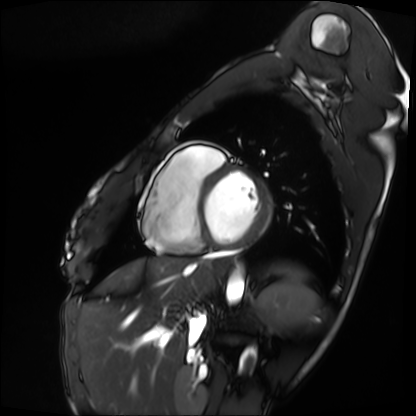
Cardiac MRI. Subject group: patient.